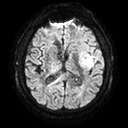
<scan>
<modality>
  <type>brain MRI</type>
  <field_strength>3T</field_strength>
</modality>
<series>diffusion tensor imaging (medium iso)</series>
<study_topic>ring-enhancing brain masses</study_topic>
</scan>